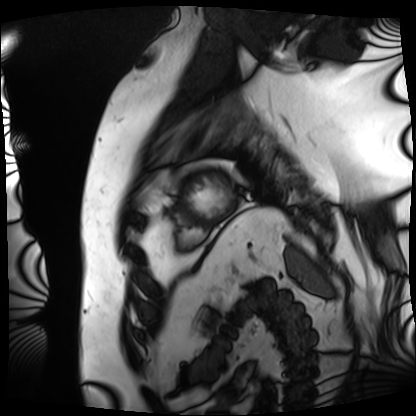
Q: What kind of scan is this?
A: Cardiac MRI.
Subject group: patient.